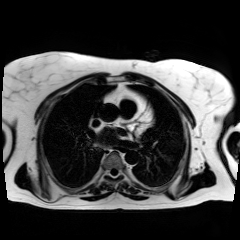
{"modality": "chemical-shift-encoded cardiac MRI"}